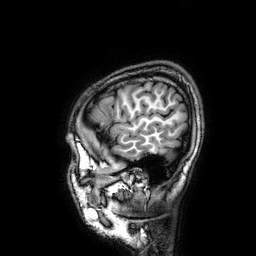
Summary: 3 Tesla brain MRI. Series: 3D T1-weighted. Study: ring-enhancing brain masses.